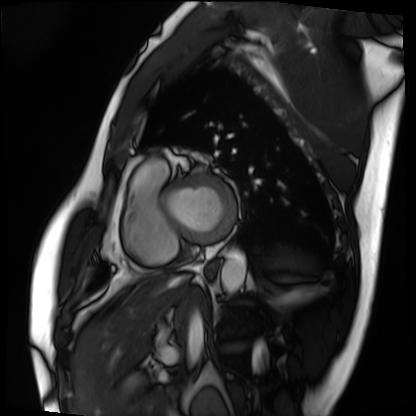
• modality · cardiac MRI
• subject group · patient